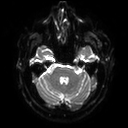
Case:
* modality: 3 Tesla brain MRI
* series: diffusion tensor imaging (medium iso)
* study: ring-enhancing brain masses